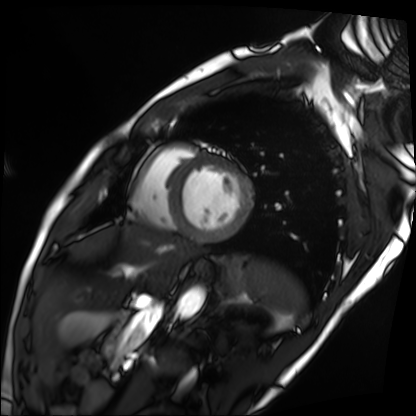
modality: cardiac MRI
cohort: patient